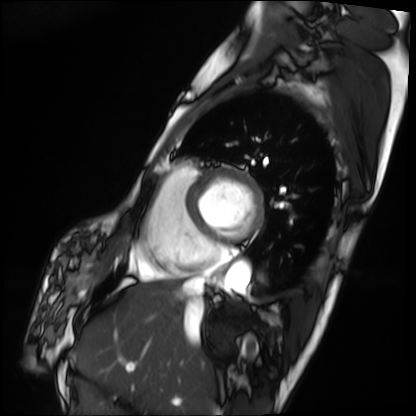
| field | value |
|---|---|
| modality | cardiac MRI |
| subject group | patient |